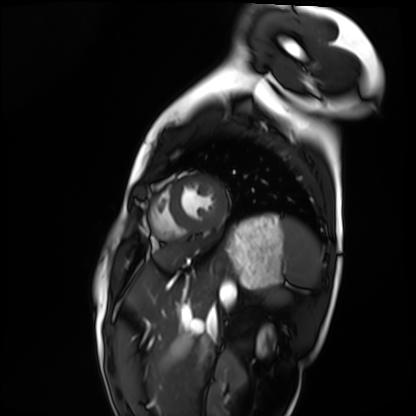
Case summary:
Cardiac MRI. Subject group: healthy volunteer.